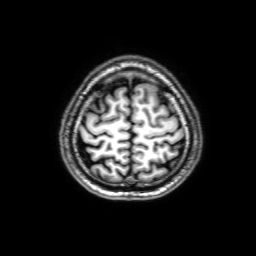
Q: What kind of scan is this?
A: 3 Tesla brain MRI.
Q: Series?
A: 3D T1-weighted with SENSE.
Study: ring-enhancing brain masses.